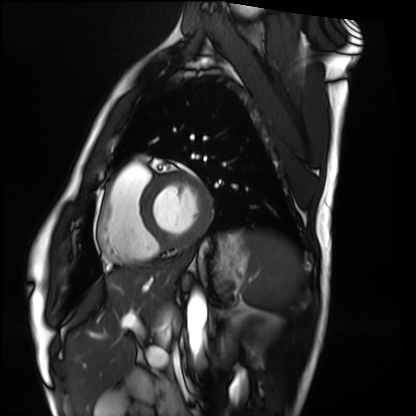
modality: cardiac MRI | subject group: healthy volunteer.